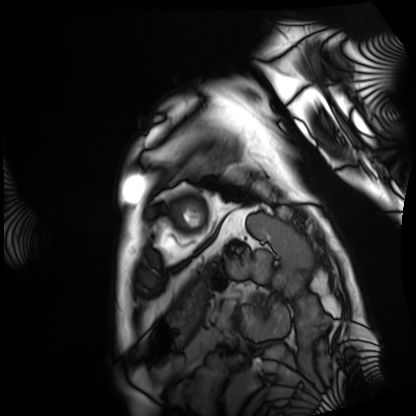
Cardiac MRI. Subject group: patient.